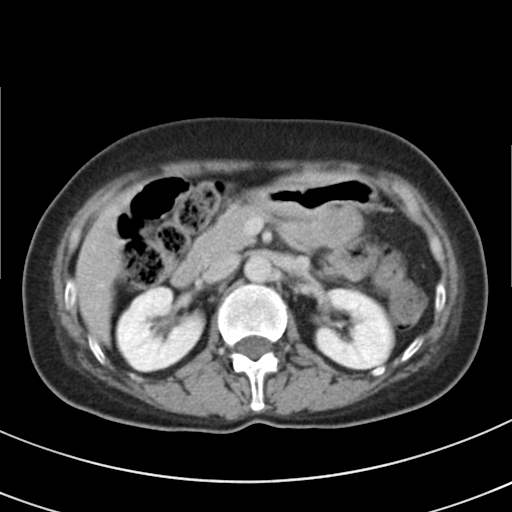
<study>
  <modality>
    <type>multiphase abdominal CT</type>
    <region>liver</region>
    <phase>delayed</phase>
  </modality>
  <patient>
    <sex>female</sex>
    <age>51</age>
  </patient>
  <history>prior chemotherapy</history>
</study>